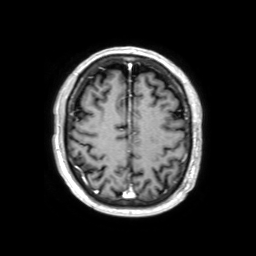
• modality · 3 Tesla brain MRI
• series · 3D T1-weighted TFE with SENSE
• study · ring-enhancing brain masses